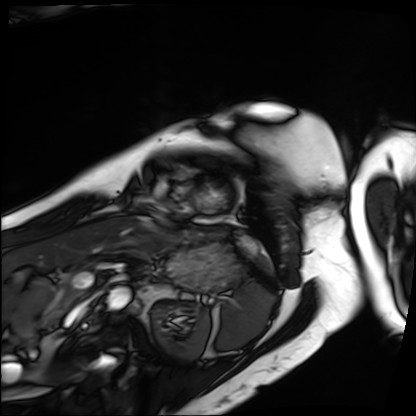
modality = cardiac MRI
subject group = patient